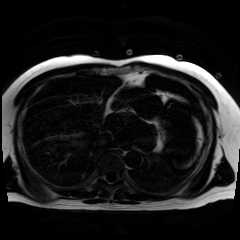
Chemical-shift-encoded cardiac MRI.